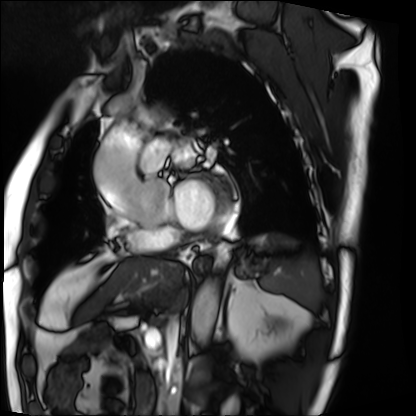
Q: What kind of scan is this?
A: Cardiac MRI.
Subject group: patient.